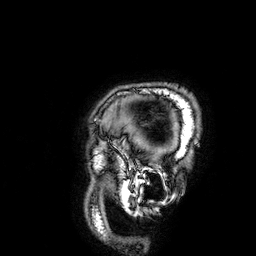
3 Tesla brain MRI. Series: 3D T1-weighted. Study: ring-enhancing brain masses.